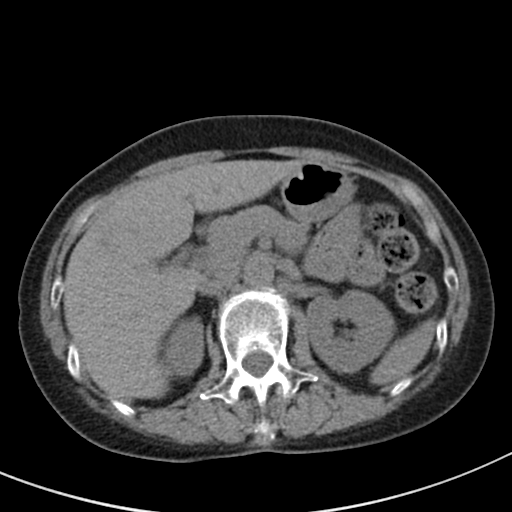
Summary:
Multiphase abdominal CT, liver, non-contrast phase. Patient: female, age 64.